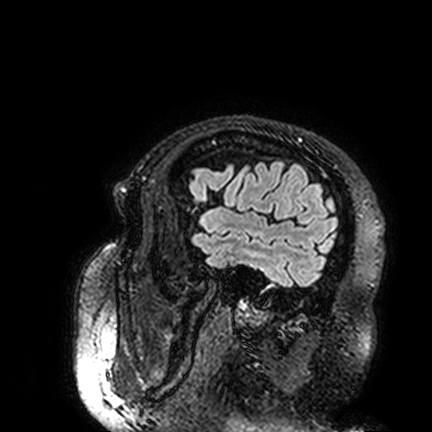
Clinical context: 3 Tesla brain MRI. Series: FLAIR VISTA. Study: ring-enhancing brain masses.